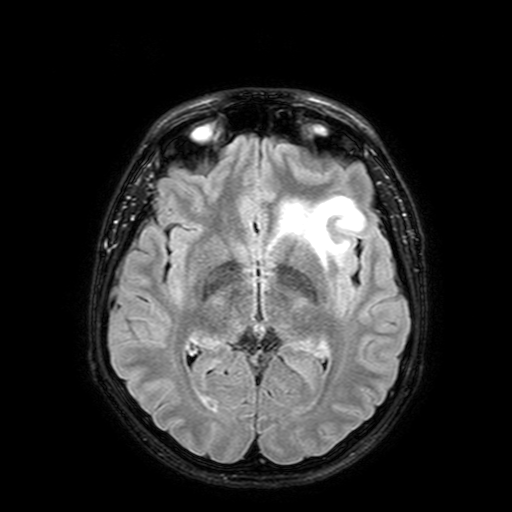
• modality — 3 Tesla brain MRI
• series — FLAIR with SPAIR, 3 mm
• study — ring-enhancing brain masses